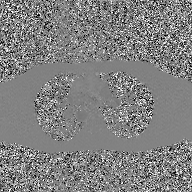
2D phase-contrast cine MRI of the ascending aorta, GAN super-resolution reconstruction.